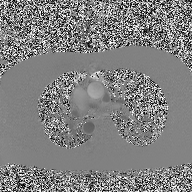
2D phase-contrast cine MRI of the ascending aorta, high-resolution GRAPPA acquisition.